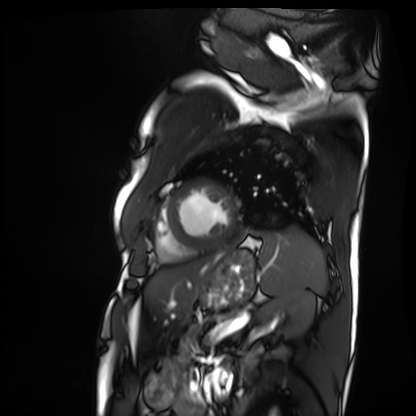
Cardiac MRI. Subject group: patient.